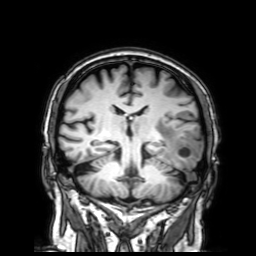
• modality · 3 Tesla brain MRI
• series · 3D T1-weighted with SENSE
• study · ring-enhancing brain masses